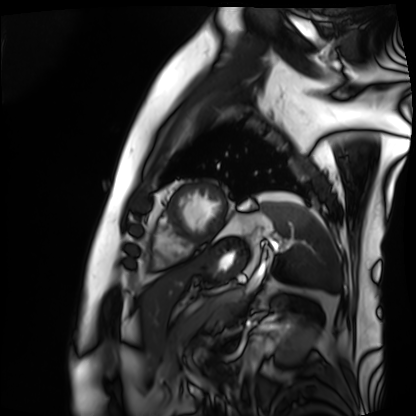
modality — cardiac MRI
subject group — patient